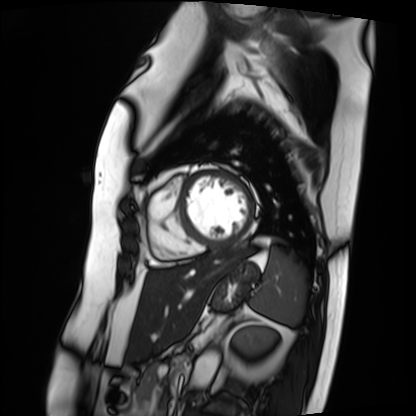
Q: What kind of scan is this?
A: Cardiac MRI.
Subject group: patient.